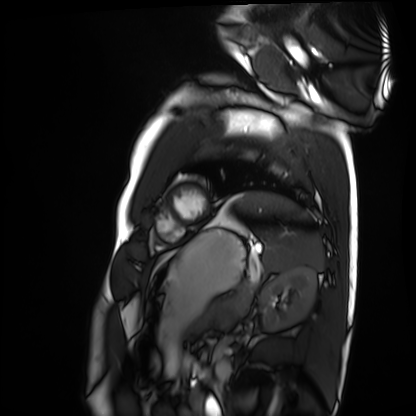
Case summary: Cardiac MRI. Subject group: healthy volunteer.